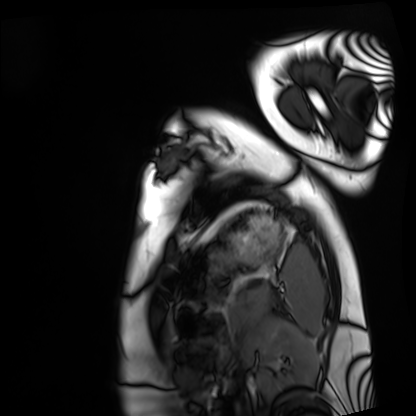
Case summary: Cardiac MRI. Subject group: healthy volunteer.